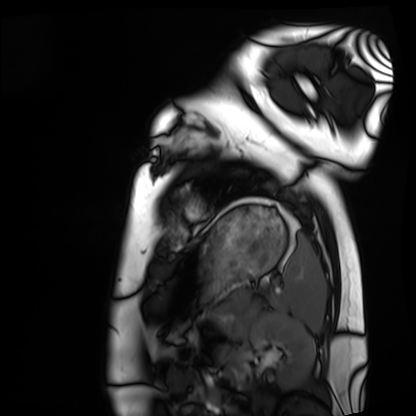
Q: What kind of scan is this?
A: Cardiac MRI.
Subject group: healthy volunteer.